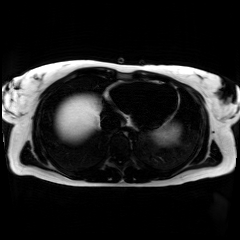
Chemical-shift-encoded cardiac MRI.